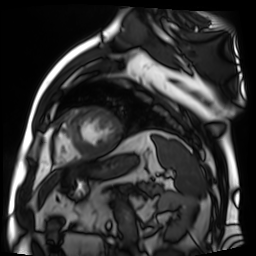
Cardiac MR image of the myocardium. Subject cohort: cardiac patient.